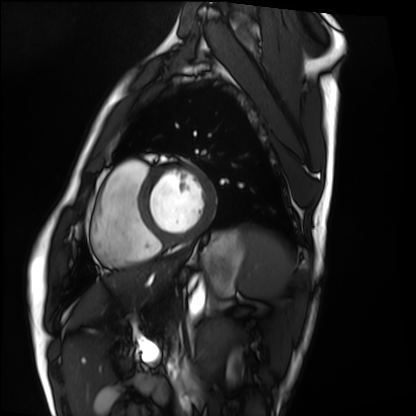
Cardiac MRI.
Subject group: healthy volunteer.